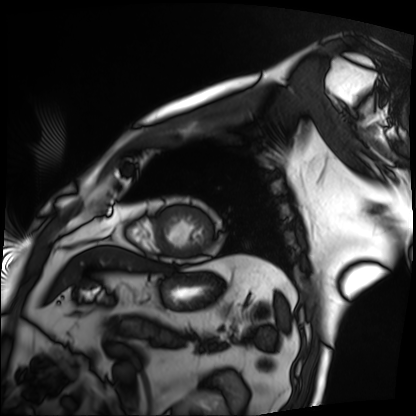
* modality — cardiac MRI
* subject group — patient